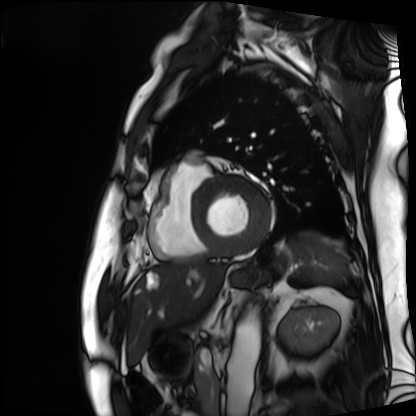
Cardiac MRI. Subject group: patient.